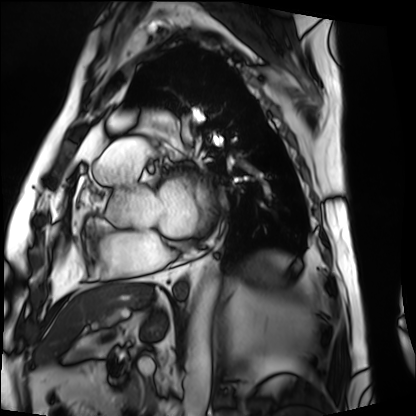
- modality · cardiac MRI
- subject group · patient